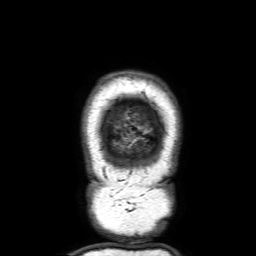
* modality · 3 Tesla brain MRI
* series · 3D T1-weighted with SENSE
* study · ring-enhancing brain masses